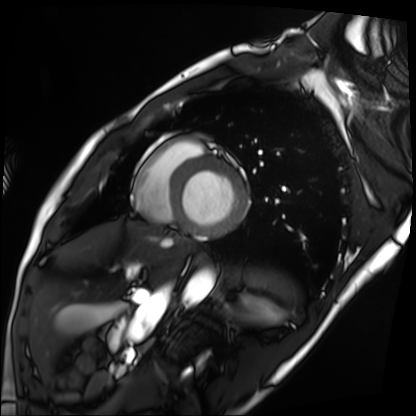
Case summary:
Cardiac MRI. Subject group: patient.